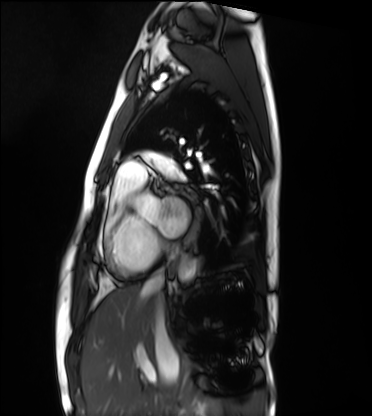
modality: cardiac MRI; subject group: healthy volunteer.